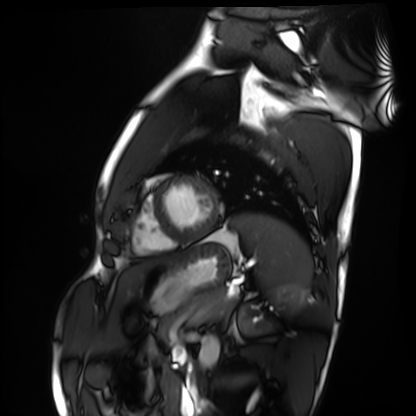
modality: cardiac MRI; subject group: healthy volunteer.